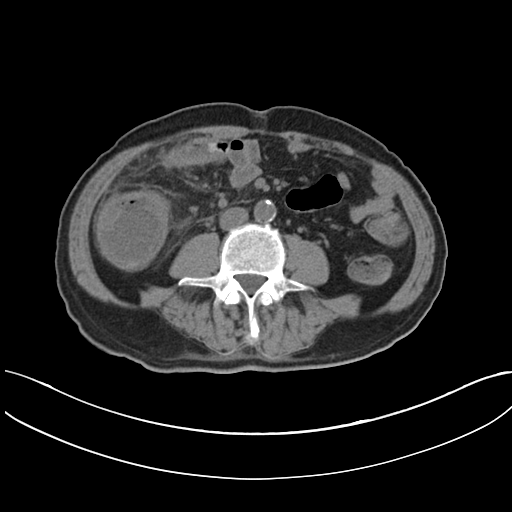
• modality: multiphase abdominal CT, liver, non-contrast phase
• patient: male, age 60